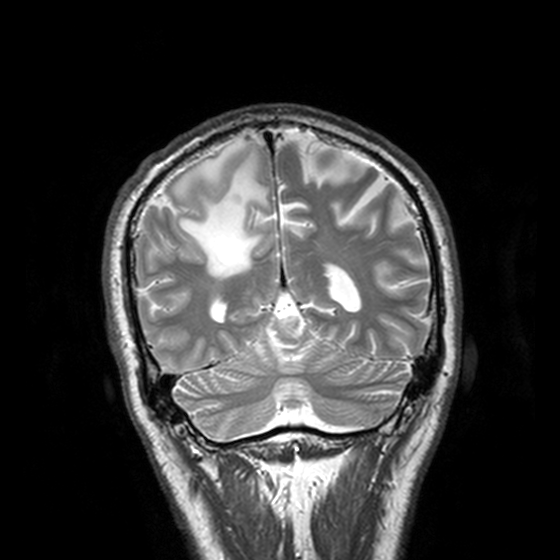
3 Tesla brain MRI. Series: T2-weighted turbo spin echo, 3 mm. Study: ring-enhancing brain masses.